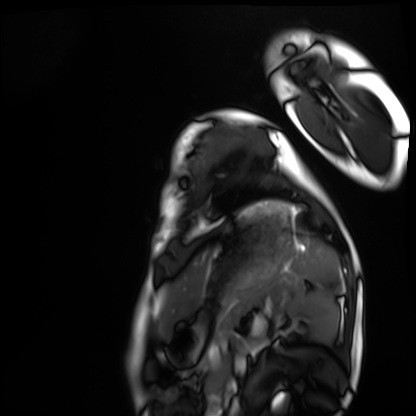
Cardiac MRI. Subject group: healthy volunteer.